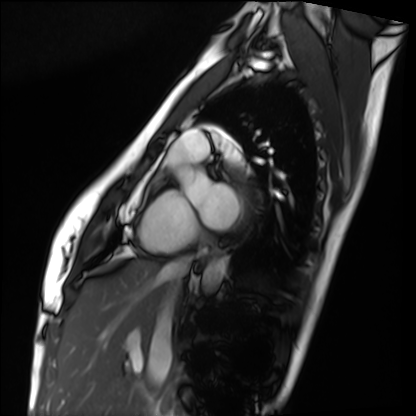
Cardiac MRI. Subject group: healthy volunteer.